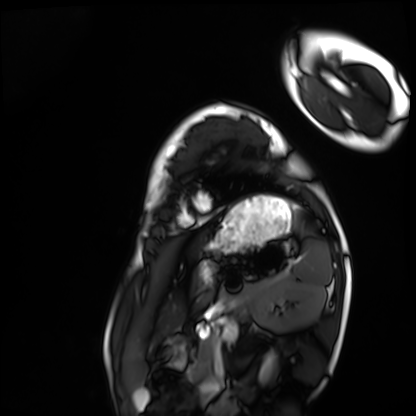
<study>
<modality>cardiac MRI</modality>
<cohort>healthy volunteer</cohort>
</study>